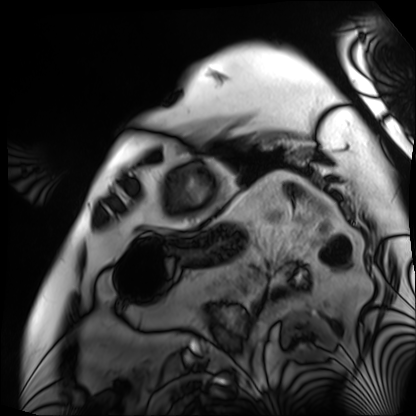
  modality: cardiac MRI
  cohort: patient